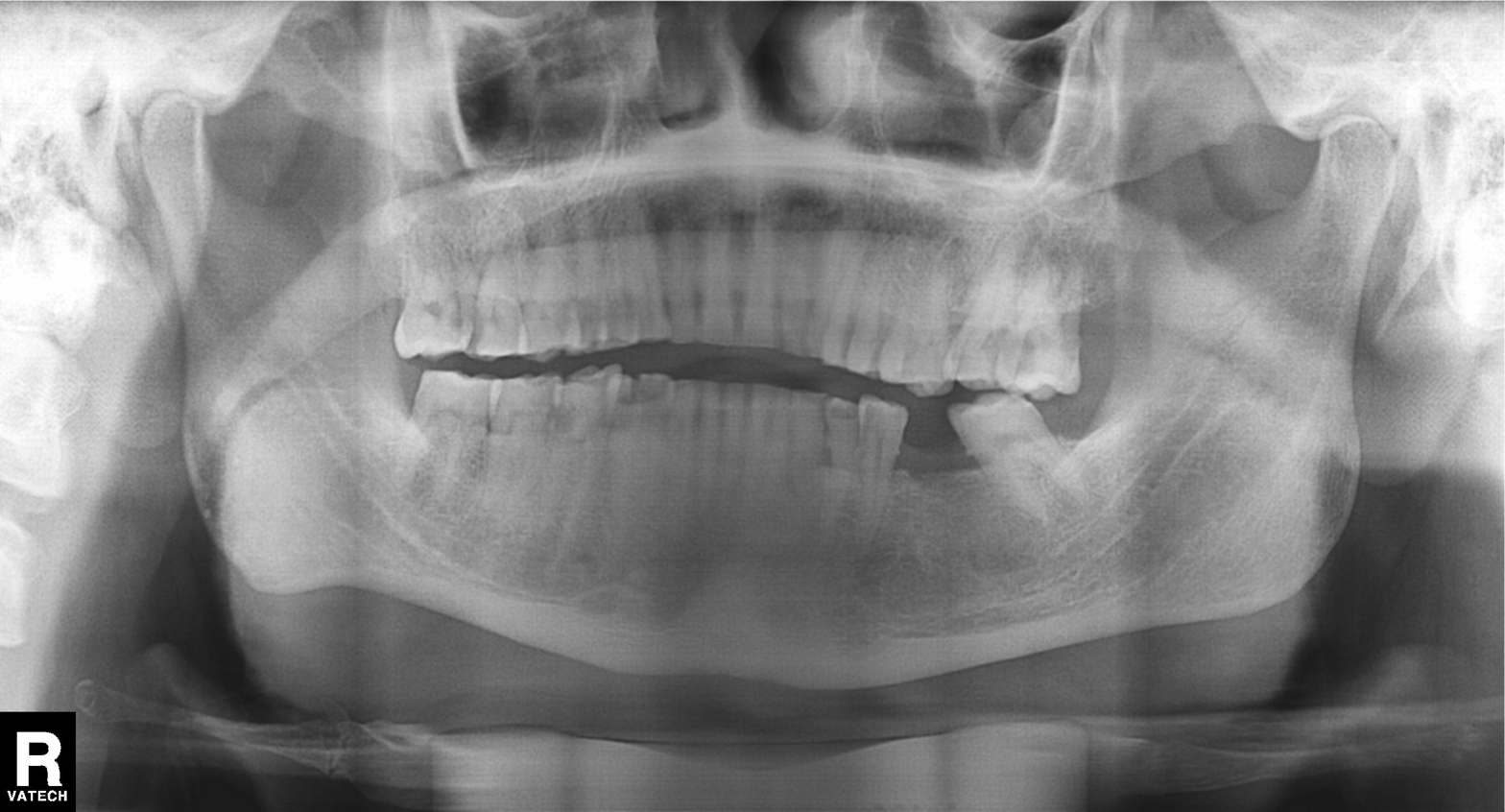
modality: panoramic dental radiograph (orthopantomogram), finding: tooth impaction.